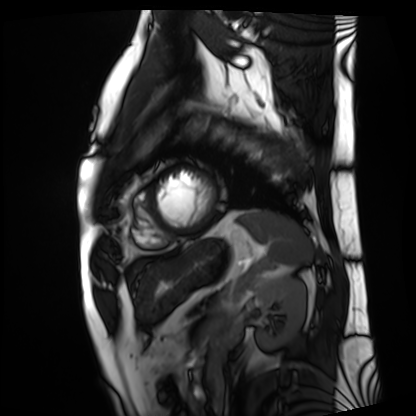
<record>
<modality>cardiac MRI</modality>
<cohort>patient</cohort>
</record>